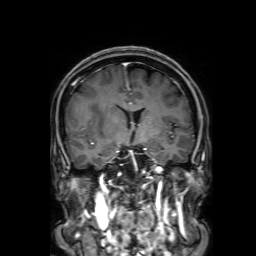
Summary: 3 Tesla brain MRI. Series: 3D T1-weighted with SENSE. Study: ring-enhancing brain masses.